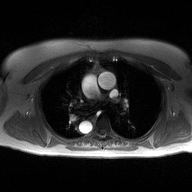
• modality — 2D phase-contrast cine MRI of the ascending aorta